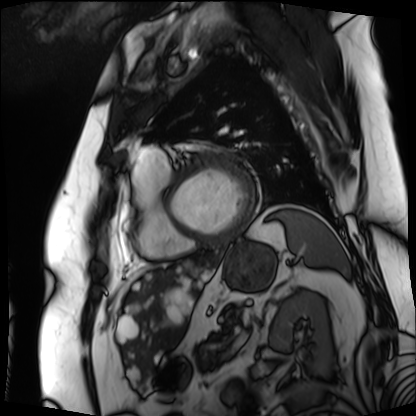
Q: What kind of scan is this?
A: Cardiac MRI.
Subject group: patient.